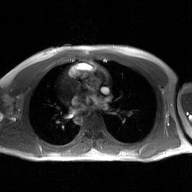
Summary: 2D phase-contrast cine MRI of the ascending aorta, GAN super-resolution reconstruction.